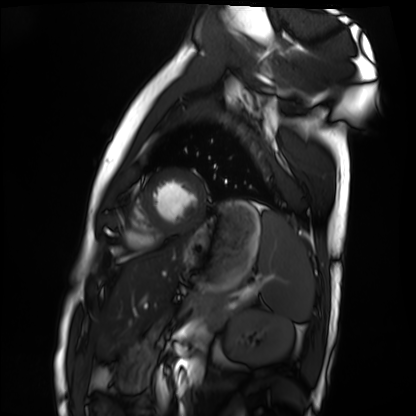
<case>
<modality>cardiac MRI</modality>
<cohort>healthy volunteer</cohort>
</case>